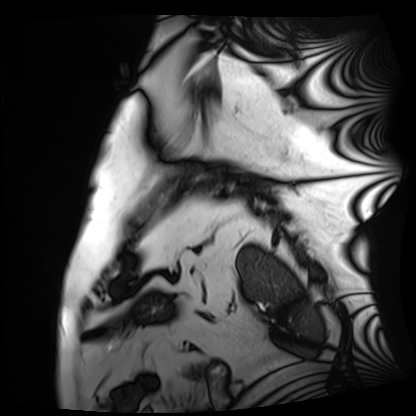
modality: cardiac MRI
subject group: patient